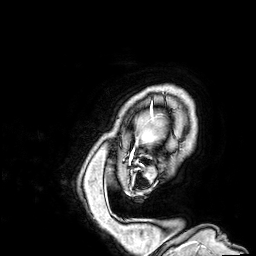
3 Tesla brain MRI. Series: 3D T1-weighted. Study: ring-enhancing brain masses.